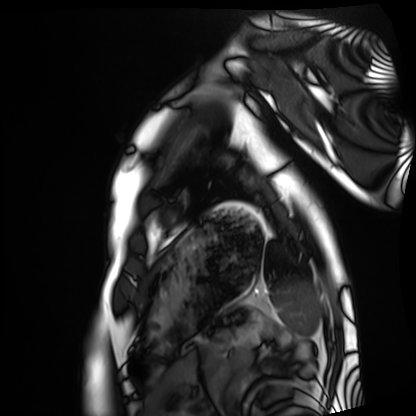
Summary:
Cardiac MRI. Subject group: healthy volunteer.